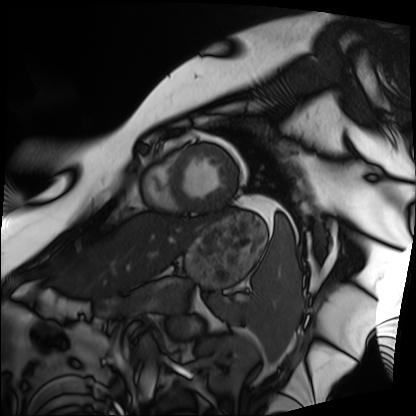
* modality · cardiac MRI
* subject group · patient